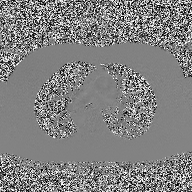
Q: What kind of scan is this?
A: 2D phase-contrast cine MRI of the ascending aorta.